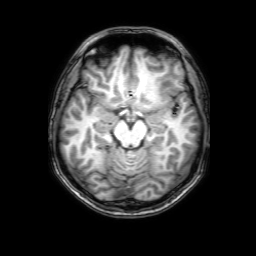
Summary:
3 Tesla brain MRI. Series: 3D T1-weighted with SENSE. Study: ring-enhancing brain masses.